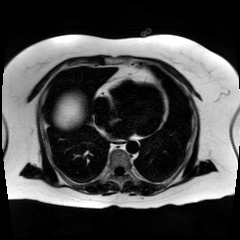
Case summary: Chemical-shift-encoded cardiac MRI.